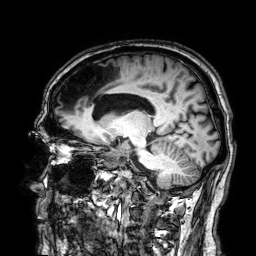
modality: 3 Tesla brain MRI | series: 3D T1-weighted | study: ring-enhancing brain masses.